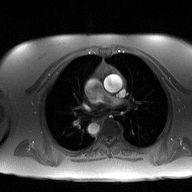
• modality — 2D phase-contrast cine MRI of the ascending aorta